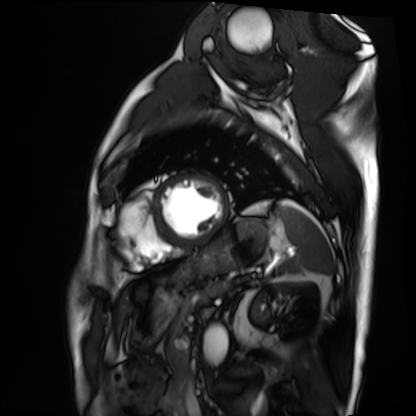
Clinical context: Cardiac MRI. Subject group: patient.